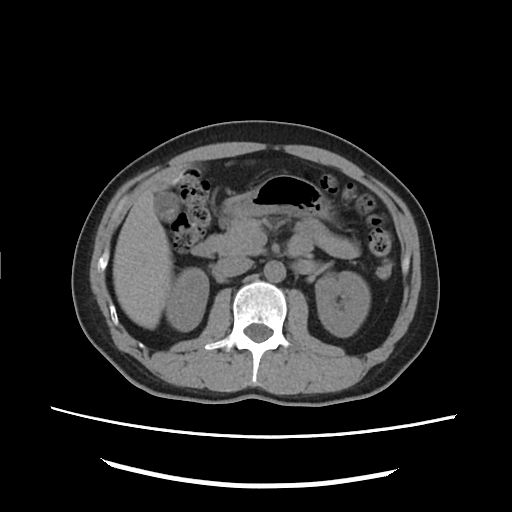
Multiphase abdominal CT, liver, non-contrast phase. Patient: male, age 40.